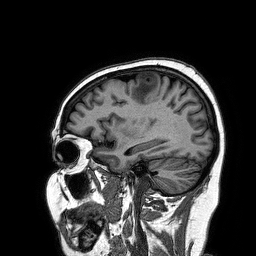
| field | value |
|---|---|
| modality | 3 Tesla brain MRI |
| series | 3D T1-weighted turbo field echo |
| study | ring-enhancing brain masses |